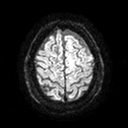
<study>
  <modality>
    <type>brain MRI</type>
    <field_strength>3T</field_strength>
  </modality>
  <series>diffusion tensor imaging (medium iso)</series>
  <study_topic>ring-enhancing brain masses</study_topic>
</study>